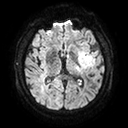
3 Tesla brain MRI. Series: diffusion tensor imaging (medium iso). Study: ring-enhancing brain masses.